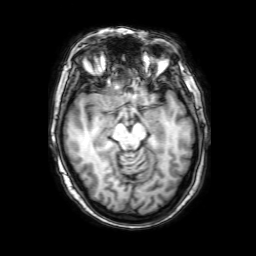
{
  "modality": {
    "type": "brain MRI",
    "field_strength": "3T"
  },
  "series": "3D T1-weighted with SENSE",
  "study_topic": "ring-enhancing brain masses"
}